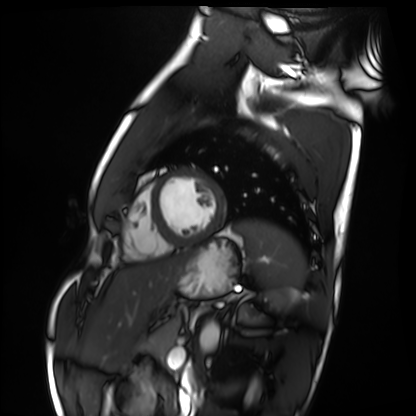
<case>
<modality>cardiac MRI</modality>
<cohort>healthy volunteer</cohort>
</case>